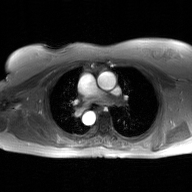
2D phase-contrast cine MRI of the ascending aorta, GAN super-resolution reconstruction.